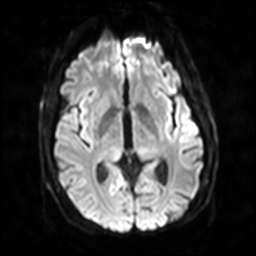
Summary: 3 Tesla brain MRI. Series: diffusion-weighted imaging with SENSE (WIP). Study: ring-enhancing brain masses.